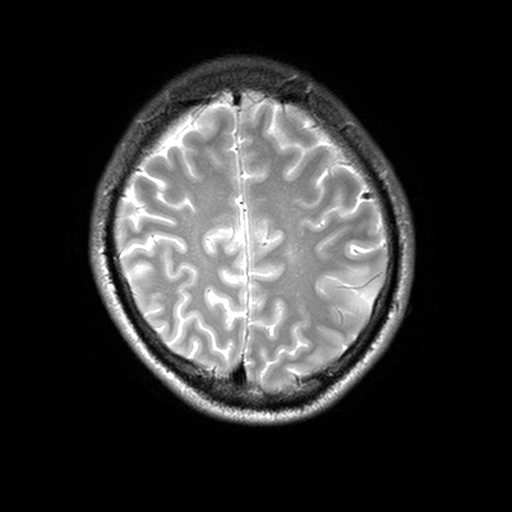
modality: 3 Tesla brain MRI | series: T2-weighted turbo spin echo, 3 mm | study: ring-enhancing brain masses.